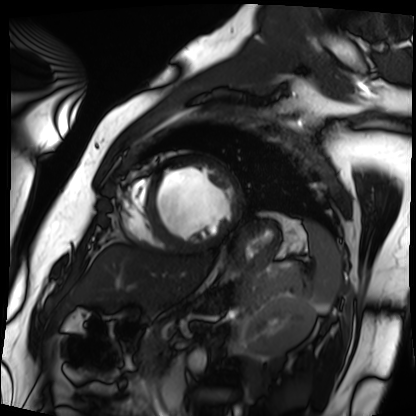
modality = cardiac MRI, subject group = patient.